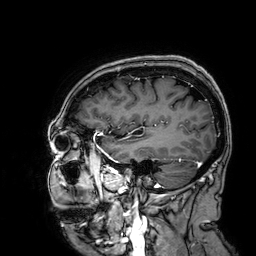
Case summary:
3 Tesla brain MRI. Study: ring-enhancing brain masses.